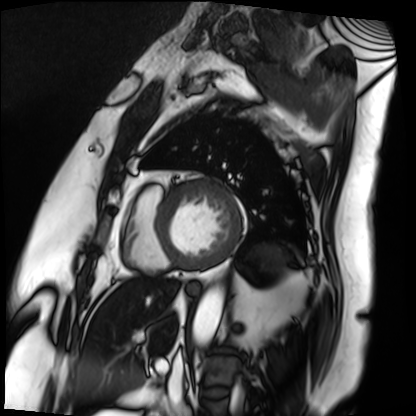
{"modality": "cardiac MRI", "cohort": "patient"}